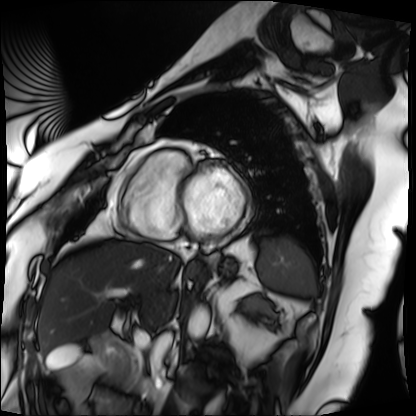
Cardiac MRI.
Subject group: patient.